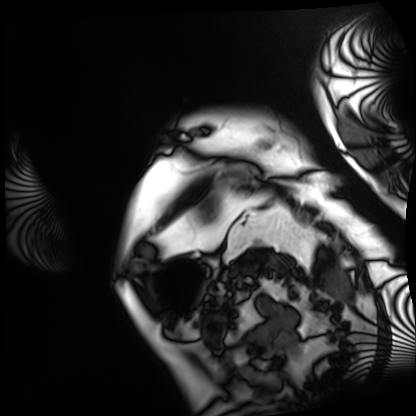
modality=cardiac MRI | subject group=patient.